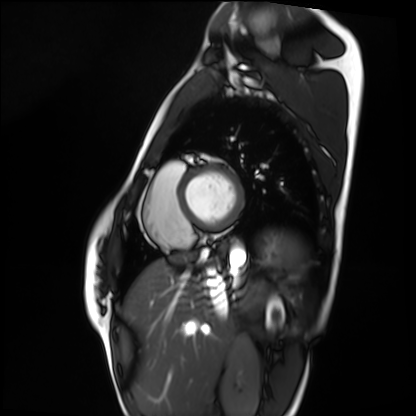
{
  "modality": "cardiac MRI",
  "cohort": "healthy volunteer"
}